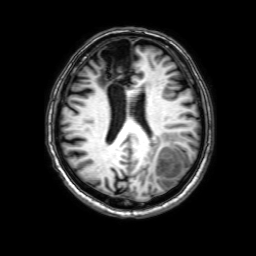
3 Tesla brain MRI.
Series: 3D T1-weighted with SENSE.
Study: ring-enhancing brain masses.